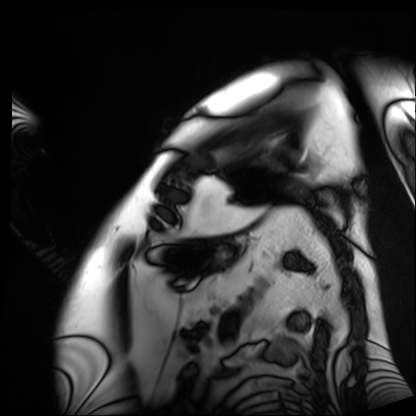
Cardiac MRI. Subject group: patient.